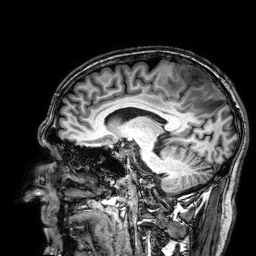
Q: What kind of scan is this?
A: 3 Tesla brain MRI.
Q: Series?
A: 3D T1-weighted.
Study: ring-enhancing brain masses.